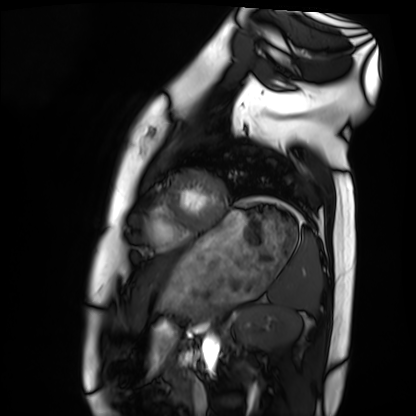
Case:
- modality · cardiac MRI
- subject group · healthy volunteer